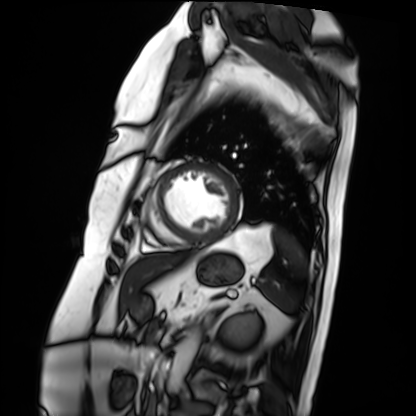
| field | value |
|---|---|
| modality | cardiac MRI |
| subject group | patient |